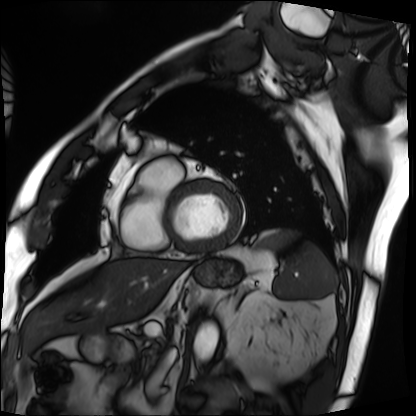
  modality: cardiac MRI
  cohort: patient